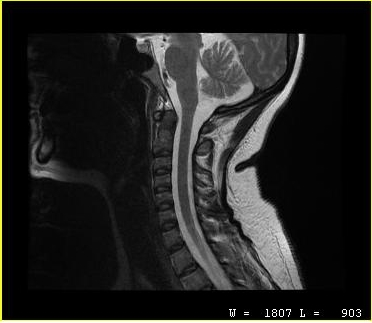
  modality:
    type: cervical spine MRI
  study_topic: cervical spondylosis